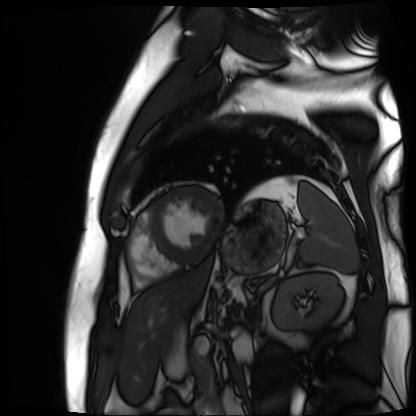
<study>
  <modality>cardiac MR image of the myocardium</modality>
  <cohort>cardiac patient</cohort>
</study>